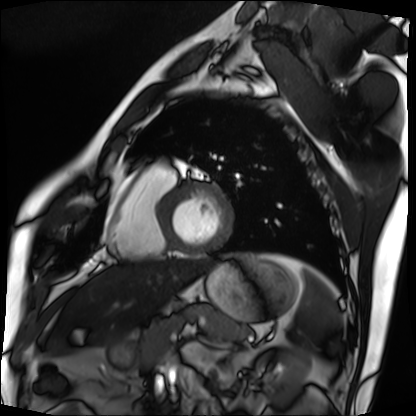
<study>
<modality>cardiac MRI</modality>
<cohort>patient</cohort>
</study>